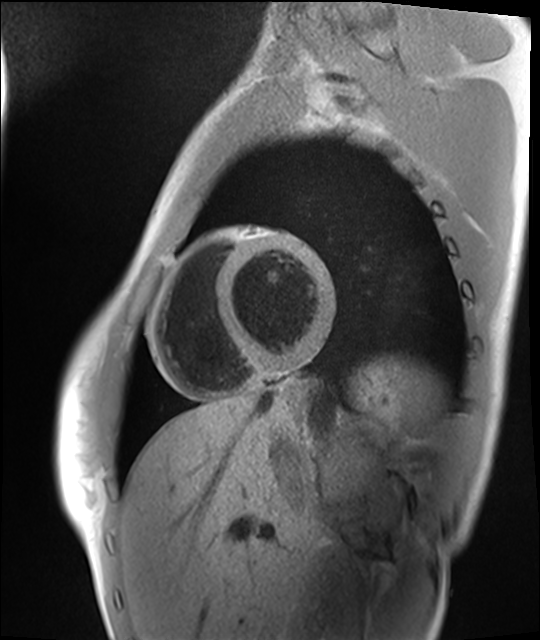
Cardiac MRI.
Subject group: healthy volunteer.